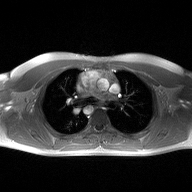
  modality:
    type: 2D phase-contrast cine MRI
    region: ascending aorta
    reconstruction: high-resolution GRAPPA acquisition